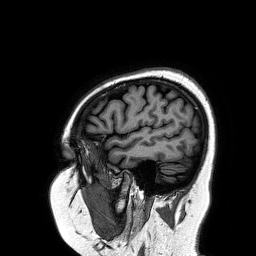
{
  "modality": {
    "type": "brain MRI",
    "field_strength": "3T"
  },
  "series": "3D T1-weighted turbo field echo",
  "study_topic": "ring-enhancing brain masses"
}